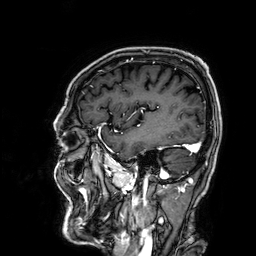
modality — 3 Tesla brain MRI | study — ring-enhancing brain masses.